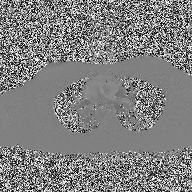
modality = 2D phase-contrast cine MRI of the ascending aorta